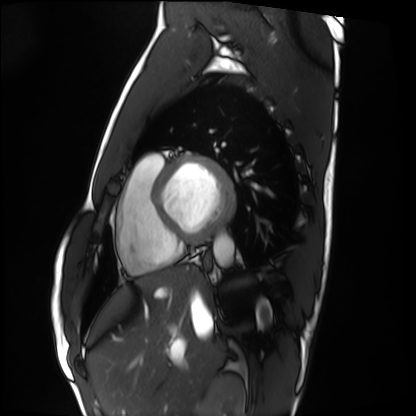
* modality: cardiac MRI
* subject group: healthy volunteer